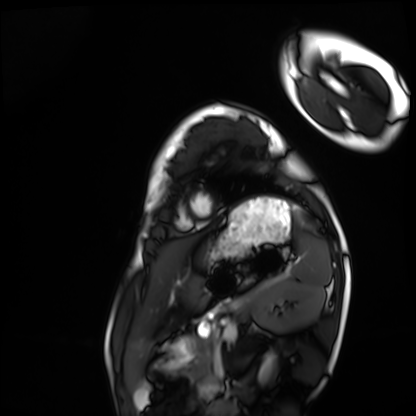
– modality — cardiac MRI
– subject group — healthy volunteer